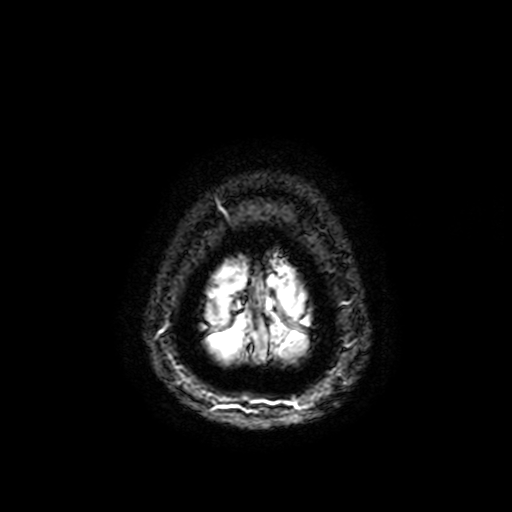
Q: What kind of scan is this?
A: 3 Tesla brain MRI.
Q: Series?
A: T2-weighted fast field echo with SENSE.
Study: ring-enhancing brain masses.